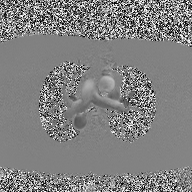
* modality: 2D phase-contrast cine MRI of the ascending aorta